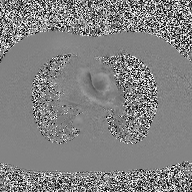
Case:
– modality — 2D phase-contrast cine MRI of the ascending aorta